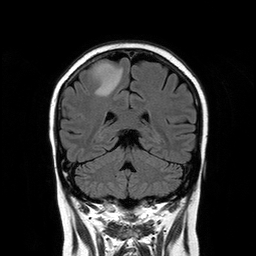
* modality: 3 Tesla brain MRI
* series: T2-weighted FLAIR
* study: ring-enhancing brain masses